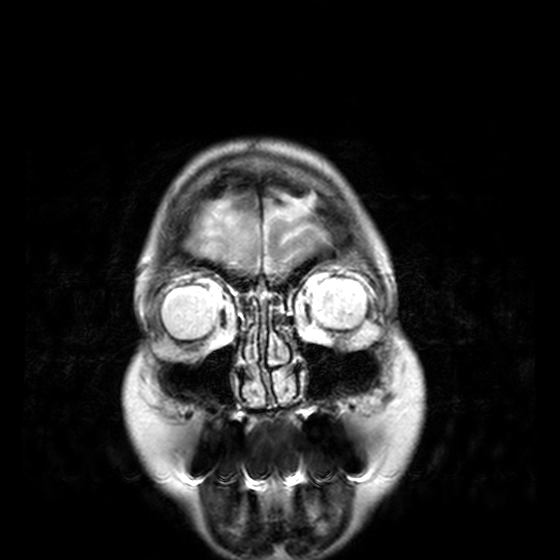
Q: What kind of scan is this?
A: 3 Tesla brain MRI.
Q: Series?
A: T2-weighted turbo spin echo, 3 mm.
Study: ring-enhancing brain masses.